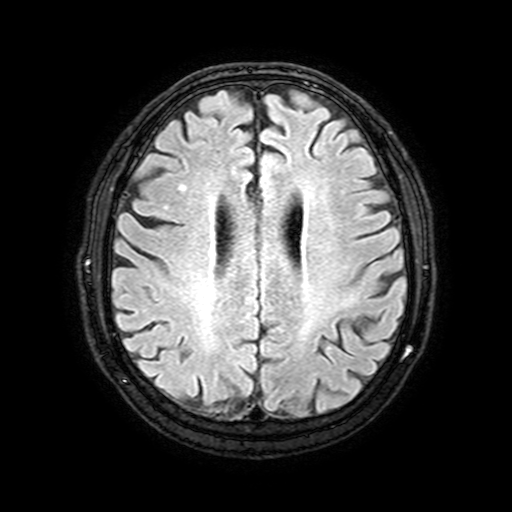
modality=3 Tesla brain MRI
series=FLAIR with SPAIR, 3 mm
study=ring-enhancing brain masses